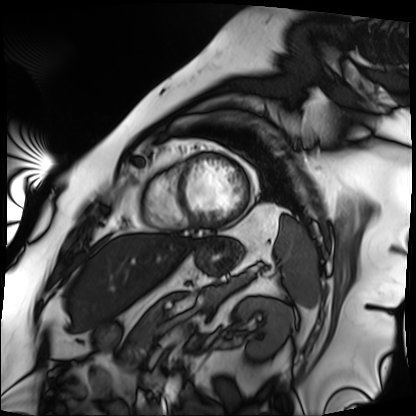
<case>
<modality>cardiac MRI</modality>
<cohort>patient</cohort>
</case>